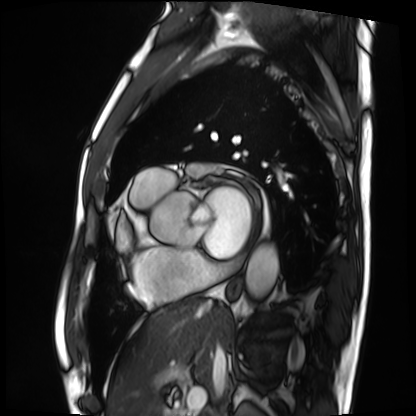
Cardiac MRI. Subject group: patient.